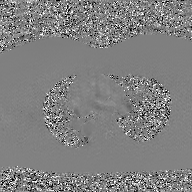
Q: What kind of scan is this?
A: 2D phase-contrast cine MRI of the ascending aorta, GAN super-resolution reconstruction.